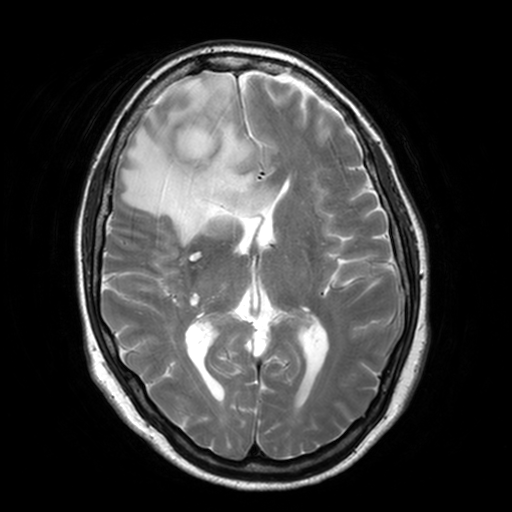
Summary:
3 Tesla brain MRI. Series: T2-weighted turbo spin echo, 3 mm. Study: ring-enhancing brain masses.